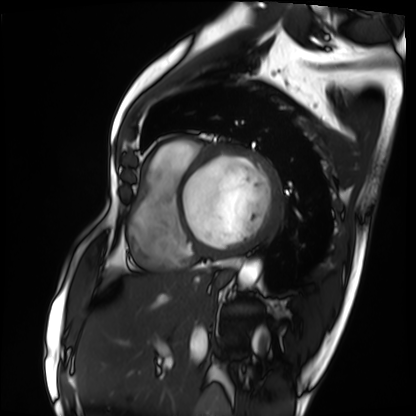
Cardiac MRI. Subject group: patient.